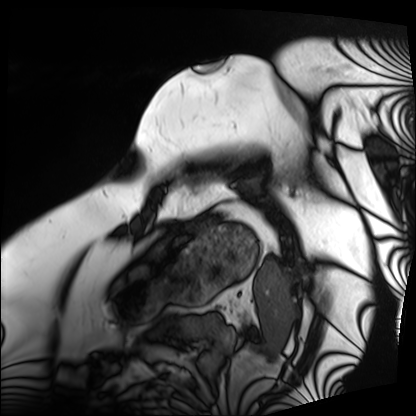
- modality — cardiac MRI
- subject group — patient